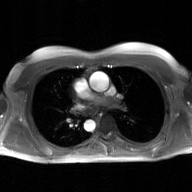
  modality:
    type: 2D phase-contrast cine MRI
    region: ascending aorta
    reconstruction: GAN super-resolution reconstruction